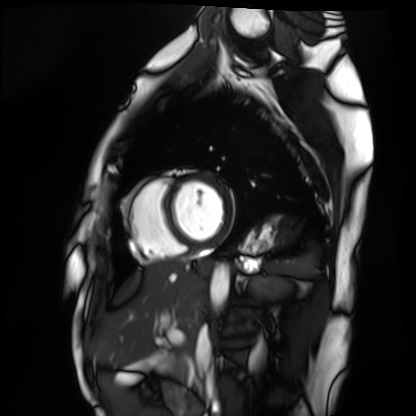
Summary: Cardiac MRI. Subject group: healthy volunteer.